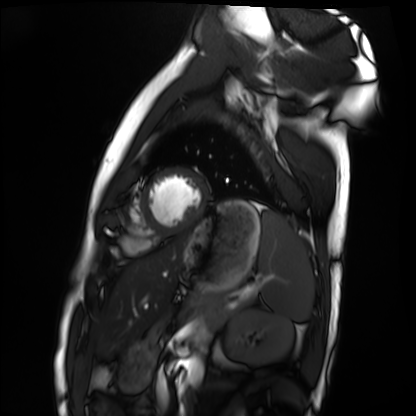
Case:
- modality · cardiac MRI
- subject group · healthy volunteer